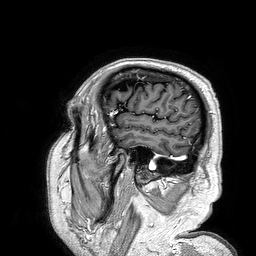
3 Tesla brain MRI.
Series: 3D T1-weighted turbo field echo.
Study: ring-enhancing brain masses.